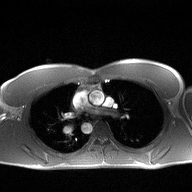
2D phase-contrast cine MRI of the ascending aorta, high-resolution GRAPPA acquisition.